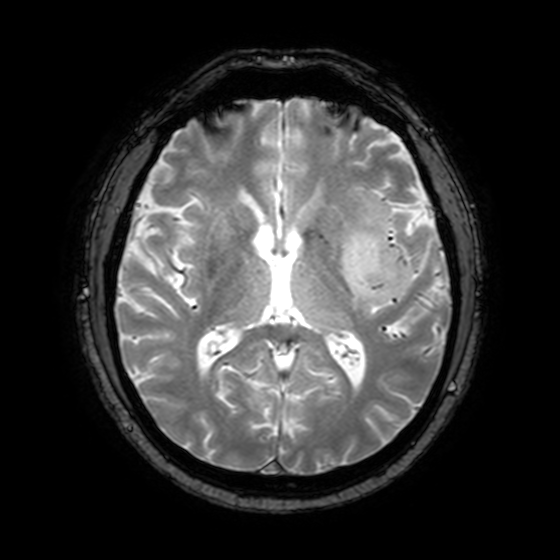
{"modality": {"type": "brain MRI", "field_strength": "3T"}, "series": "T2-weighted fast field echo with SENSE", "study_topic": "ring-enhancing brain masses"}